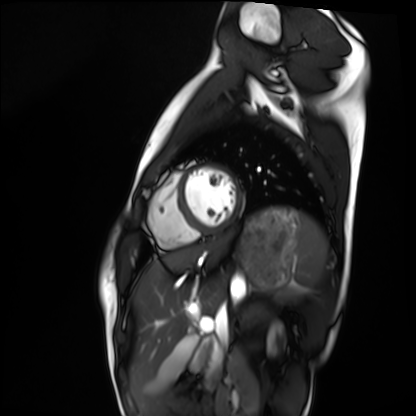
Cardiac MRI.
Subject group: healthy volunteer.